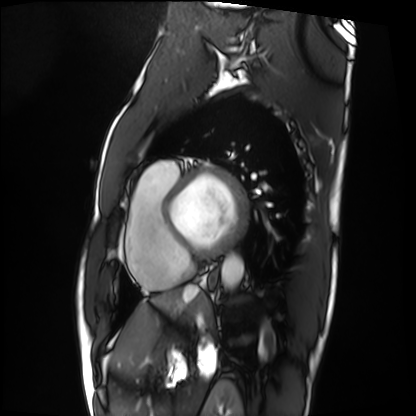
Cardiac MRI. Subject group: patient.